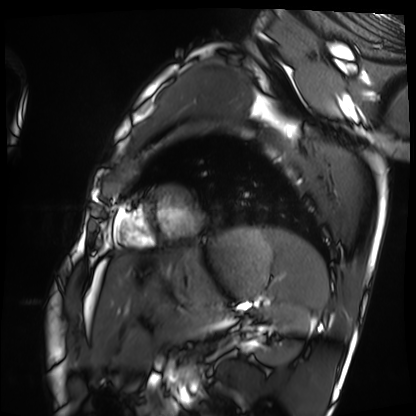
• modality — cardiac MRI
• subject group — healthy volunteer